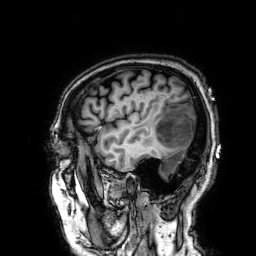
| field | value |
|---|---|
| modality | 3 Tesla brain MRI |
| series | 3D T1-weighted |
| study | ring-enhancing brain masses |